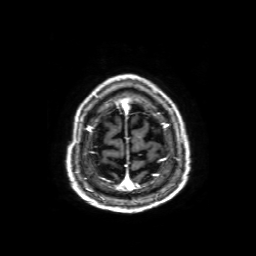
modality: 3 Tesla brain MRI | series: axial T1-weighted fusion image | study: ring-enhancing brain masses.